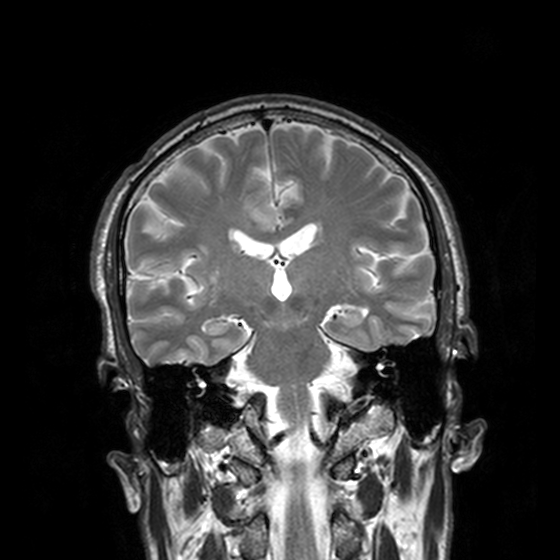
Q: What kind of scan is this?
A: 3 Tesla brain MRI.
Q: Series?
A: T2-weighted turbo spin echo, 3 mm.
Study: ring-enhancing brain masses.